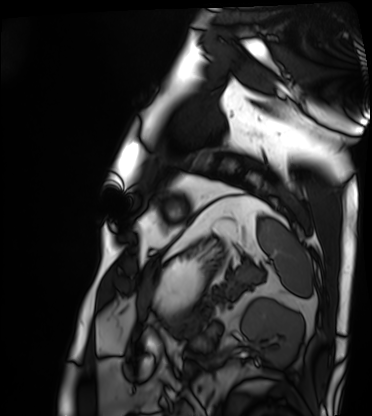
Q: What kind of scan is this?
A: Cardiac MRI.
Subject group: patient.